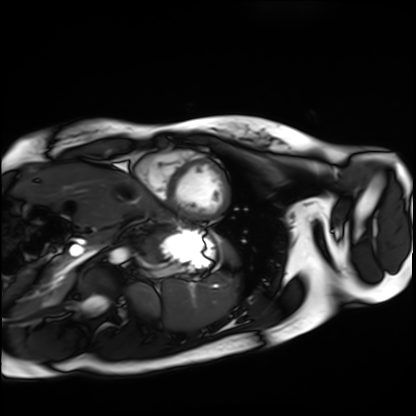
modality: cardiac MRI
cohort: healthy volunteer